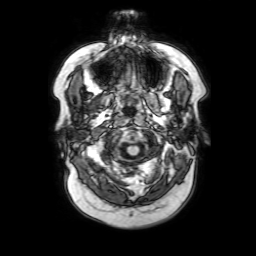
modality: 3 Tesla brain MRI; study: ring-enhancing brain masses.